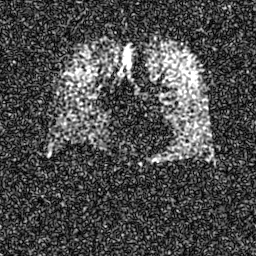
Hyperpolarized 129Xe ventilation MRI of the lungs.